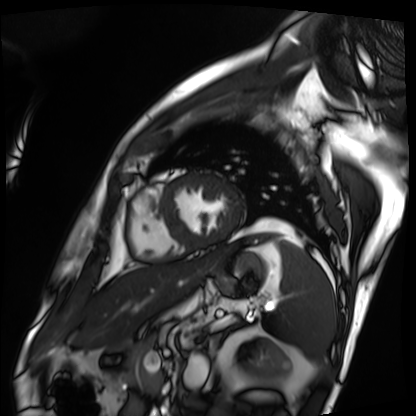
modality: cardiac MRI; subject group: patient.